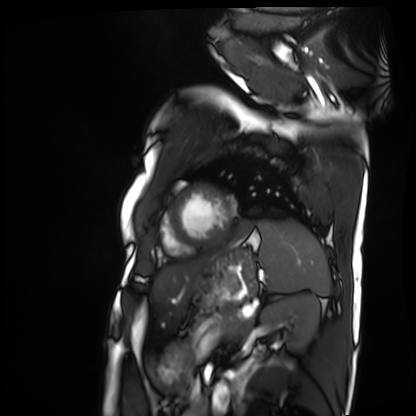
Cardiac MRI.
Subject group: patient.